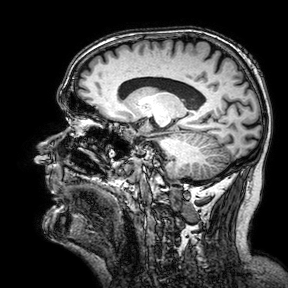
Summary:
3 Tesla brain MRI. Series: 3D T1-weighted turbo field echo with SENSE. Study: ring-enhancing brain masses.